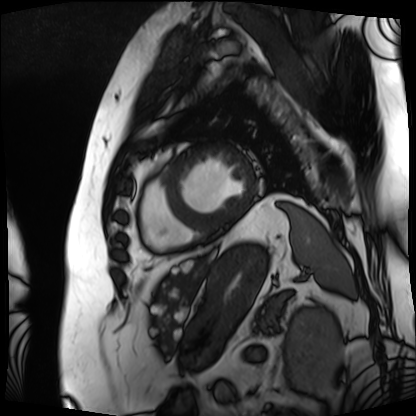
Cardiac MRI. Subject group: patient.